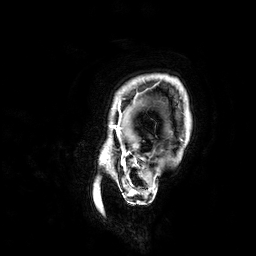
Case summary:
3 Tesla brain MRI. Series: 3D T1-weighted. Study: ring-enhancing brain masses.